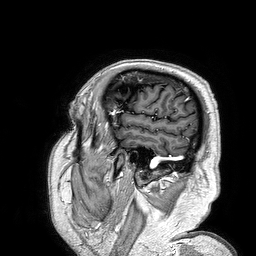
3 Tesla brain MRI. Series: 3D T1-weighted turbo field echo. Study: ring-enhancing brain masses.